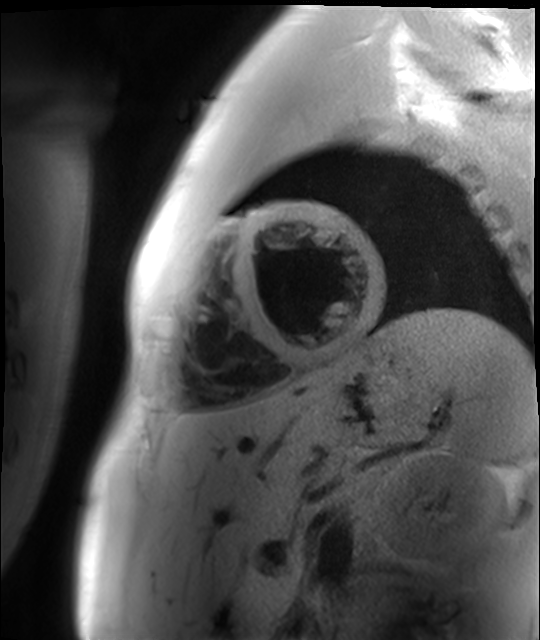
modality — cardiac MR image of the myocardium; subject cohort — healthy volunteer.